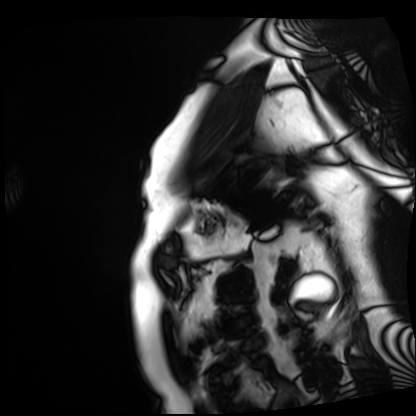
{
  "modality": "cardiac MRI",
  "cohort": "patient"
}